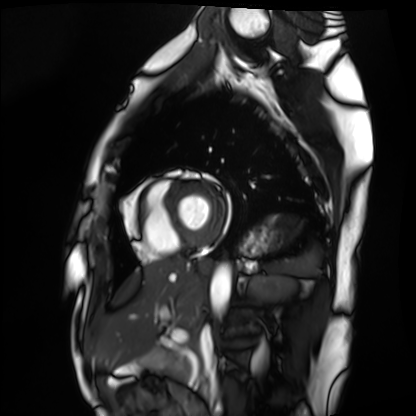
Q: What kind of scan is this?
A: Cardiac MRI.
Subject group: healthy volunteer.